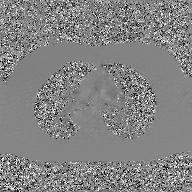
modality: 2D phase-contrast cine MRI of the ascending aorta, GAN super-resolution reconstruction.